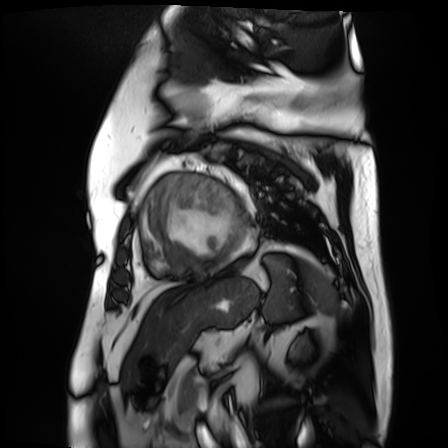
* modality · cardiac MR image of the myocardium
* subject cohort · cardiac patient